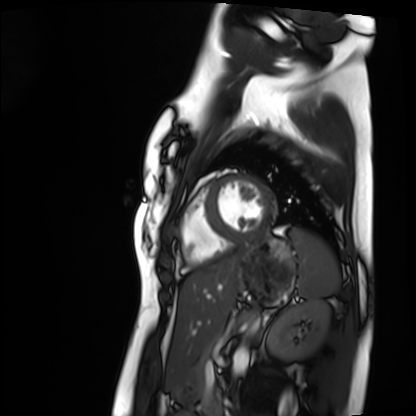
Clinical context:
Cardiac MRI. Subject group: healthy volunteer.